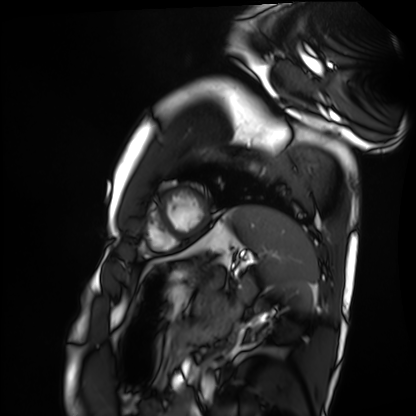
Q: What kind of scan is this?
A: Cardiac MRI.
Subject group: healthy volunteer.